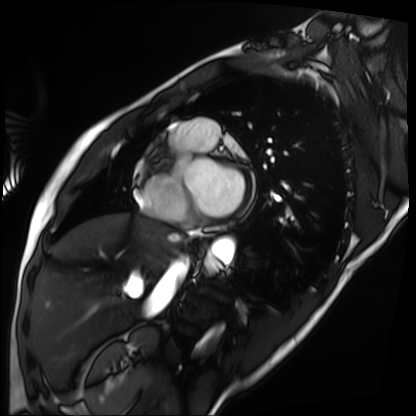
{
  "modality": "cardiac MRI",
  "cohort": "patient"
}